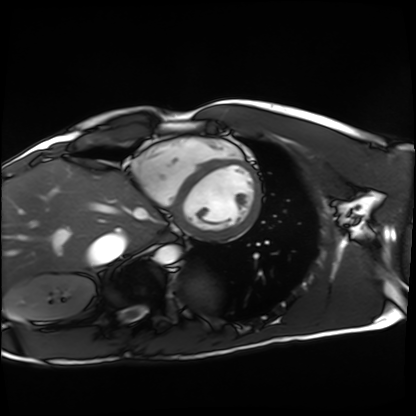
Cardiac MRI. Subject group: healthy volunteer.